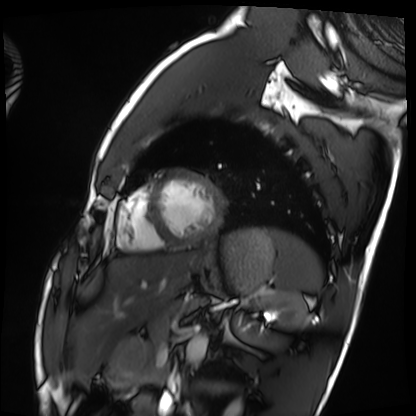
Cardiac MRI. Subject group: healthy volunteer.